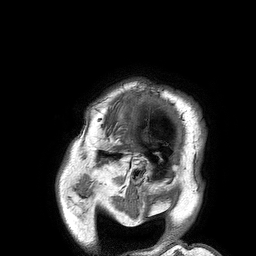
3 Tesla brain MRI. Series: 3D T1-weighted turbo field echo. Study: ring-enhancing brain masses.